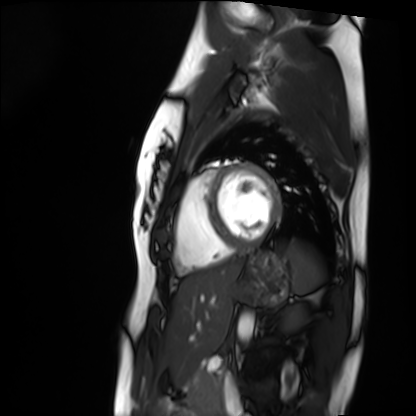
Case summary:
Cardiac MRI. Subject group: healthy volunteer.